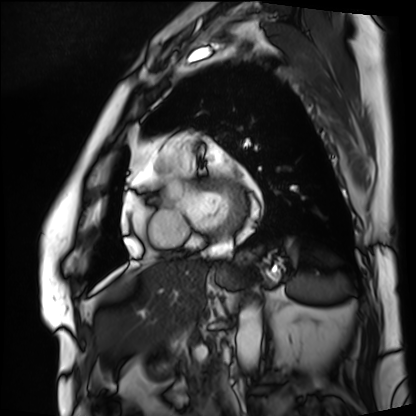
Q: What kind of scan is this?
A: Cardiac MRI.
Subject group: patient.